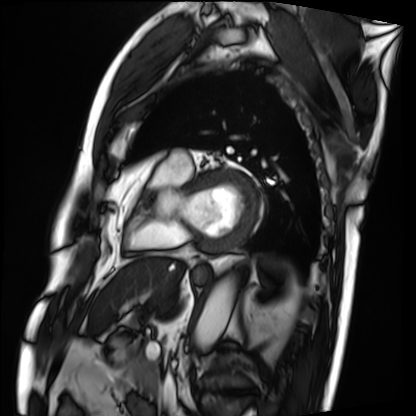
Cardiac MRI. Subject group: patient.